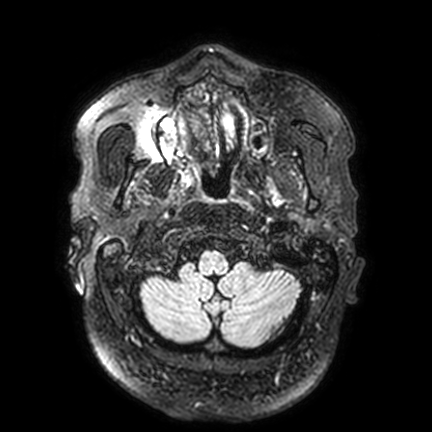
  modality:
    type: brain MRI
    field_strength: 3T
  series: FLAIR VISTA with SENSE
  study_topic: ring-enhancing brain masses